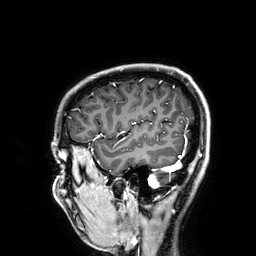
| field | value |
|---|---|
| modality | 3 Tesla brain MRI |
| series | 3D T1-weighted |
| study | ring-enhancing brain masses |